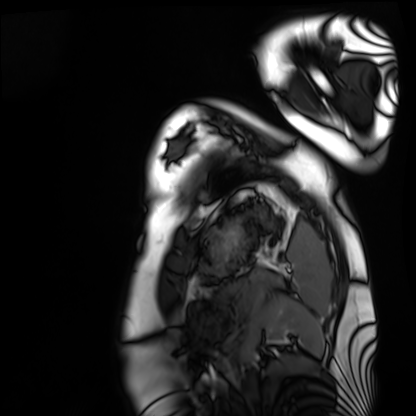
Q: What kind of scan is this?
A: Cardiac MRI.
Subject group: healthy volunteer.